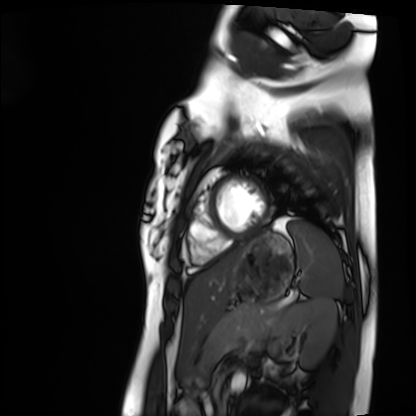
Case:
• modality · cardiac MRI
• subject group · healthy volunteer